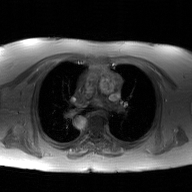
2D phase-contrast cine MRI of the ascending aorta, GAN super-resolution reconstruction.